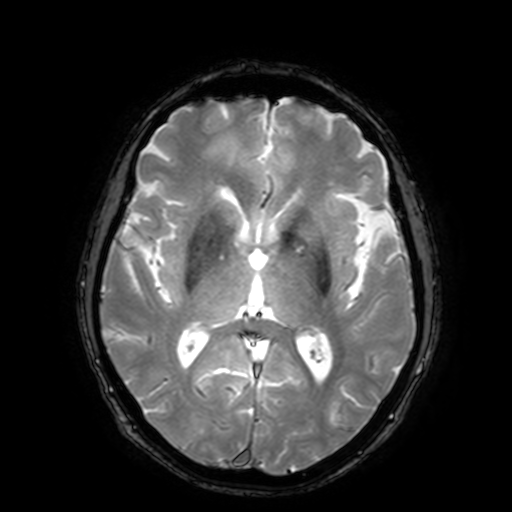
Q: What kind of scan is this?
A: 3 Tesla brain MRI.
Q: Series?
A: T2-weighted fast field echo with SENSE.
Study: ring-enhancing brain masses.